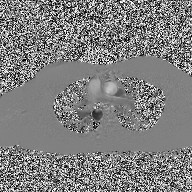
– modality · 2D phase-contrast cine MRI of the ascending aorta